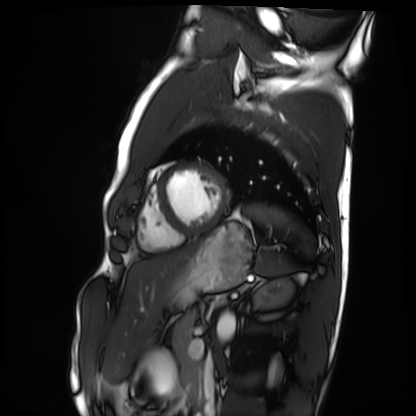
modality — cardiac MRI | subject group — healthy volunteer.